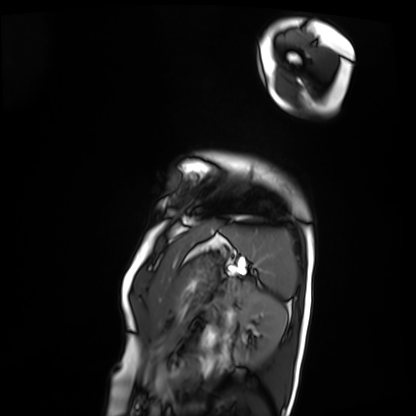
modality: cardiac MRI
subject group: patient